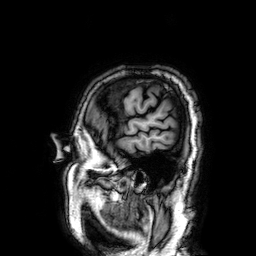
<study>
<modality>
  <type>brain MRI</type>
  <field_strength>3T</field_strength>
</modality>
<series>3D T1-weighted</series>
<study_topic>ring-enhancing brain masses</study_topic>
</study>